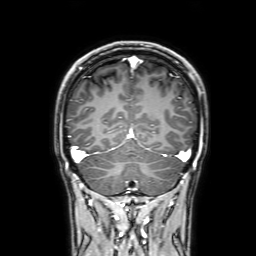
Summary:
3 Tesla brain MRI. Series: 3D T1-weighted with SENSE. Study: ring-enhancing brain masses.